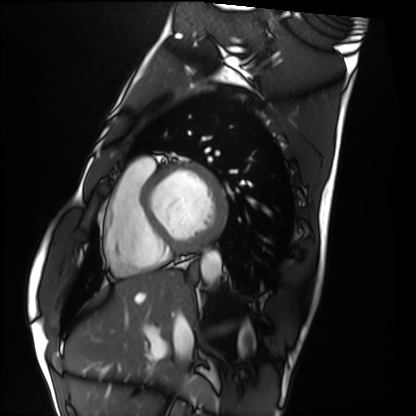
Q: What kind of scan is this?
A: Cardiac MRI.
Subject group: healthy volunteer.